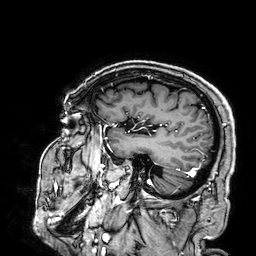
3 Tesla brain MRI.
Series: 3D T1-weighted.
Study: ring-enhancing brain masses.